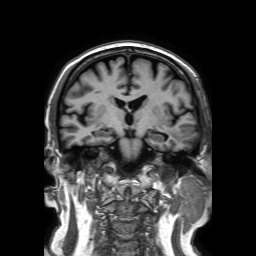
3 Tesla brain MRI. Series: 3D T1-weighted TFE with SENSE. Study: ring-enhancing brain masses.